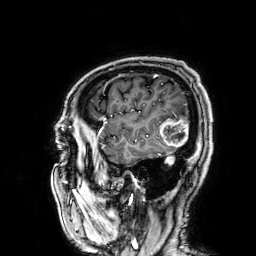
| field | value |
|---|---|
| modality | 3 Tesla brain MRI |
| series | 3D T1-weighted |
| study | ring-enhancing brain masses |